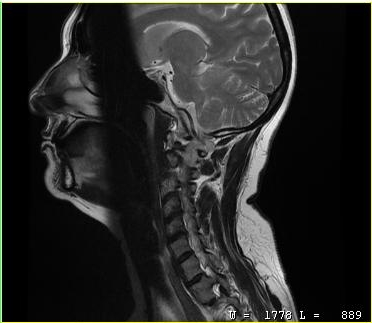
{
  "modality": {
    "type": "cervical spine MRI"
  },
  "study_topic": "cervical spondylosis"
}